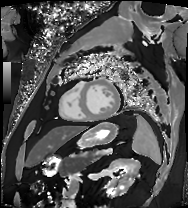
Cardiac MRI.
Subject group: patient.